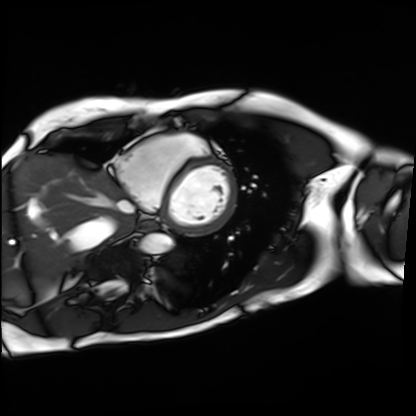
Summary:
Cardiac MRI. Subject group: patient.